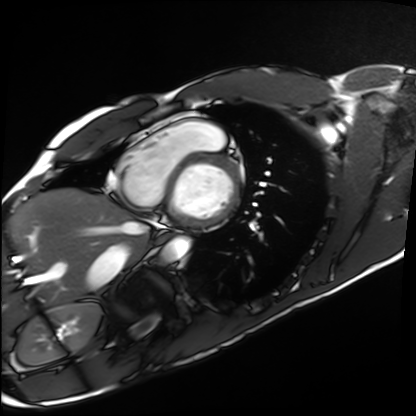
Case summary:
Cardiac MRI. Subject group: healthy volunteer.